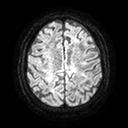
3 Tesla brain MRI.
Series: diffusion tensor imaging (medium iso).
Study: ring-enhancing brain masses.